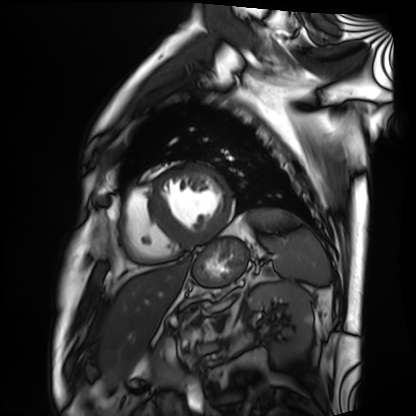
Cardiac MRI. Subject group: patient.